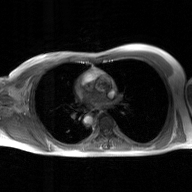
2D phase-contrast cine MRI of the ascending aorta, GAN super-resolution reconstruction.